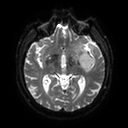
modality=3 Tesla brain MRI; series=diffusion tensor imaging (medium iso); study=ring-enhancing brain masses.